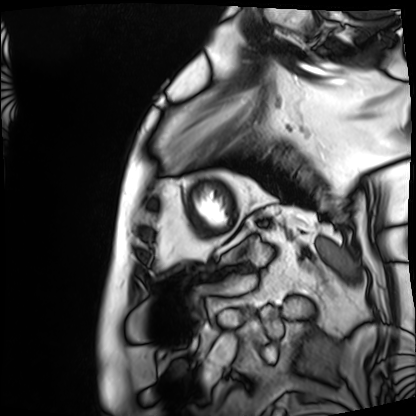
Case summary: Cardiac MRI. Subject group: patient.